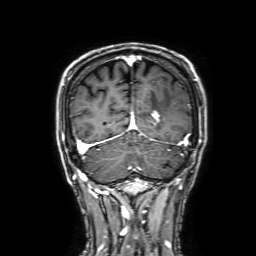
- modality · 3 Tesla brain MRI
- series · 3D T1-weighted with SENSE
- study · ring-enhancing brain masses